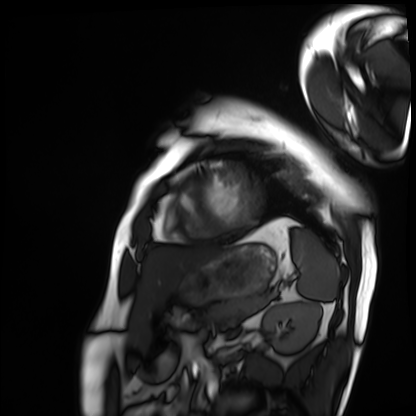
Cardiac MRI. Subject group: patient.